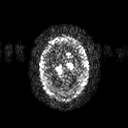
Q: What kind of scan is this?
A: 3 Tesla brain MRI.
Q: Series?
A: Diffusion tensor imaging (medium iso).
Study: ring-enhancing brain masses.